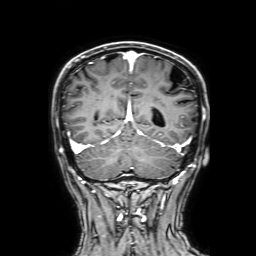
3 Tesla brain MRI. Series: 3D T1-weighted with SENSE. Study: ring-enhancing brain masses.